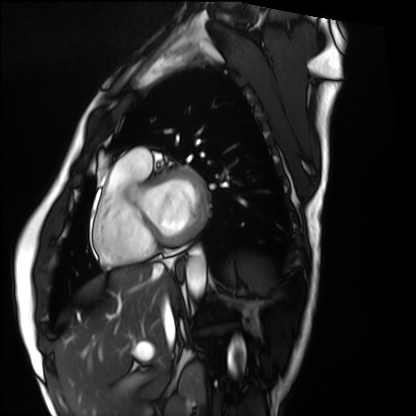
Cardiac MRI. Subject group: healthy volunteer.